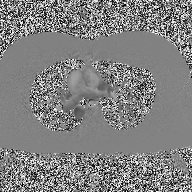
- modality — 2D phase-contrast cine MRI of the ascending aorta